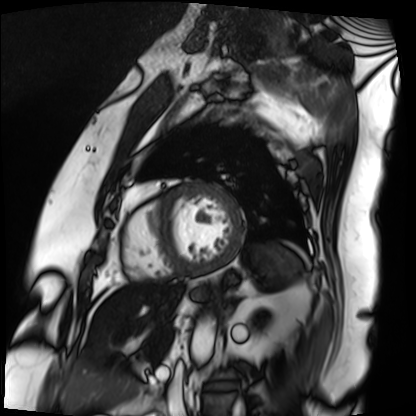
Q: What kind of scan is this?
A: Cardiac MRI.
Subject group: patient.